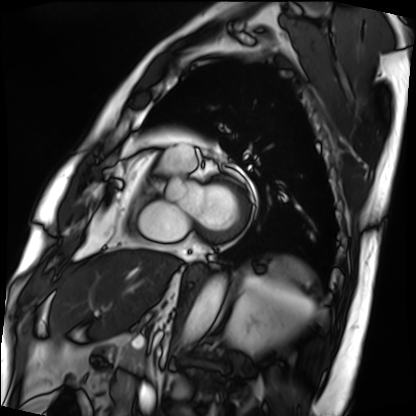
Clinical context:
Cardiac MRI. Subject group: patient.